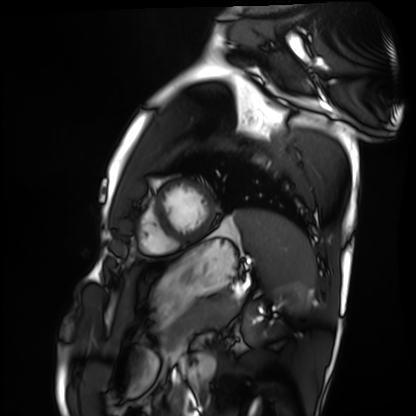
Cardiac MRI.
Subject group: healthy volunteer.